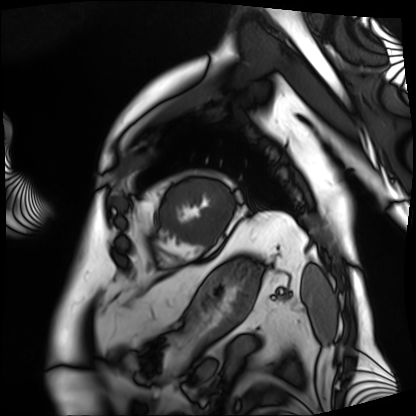
Clinical context: Cardiac MRI. Subject group: patient.